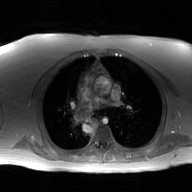
Case summary: 2D phase-contrast cine MRI of the ascending aorta, GAN super-resolution reconstruction.